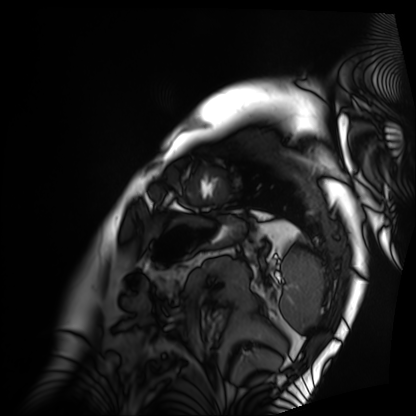
Cardiac MRI. Subject group: patient.